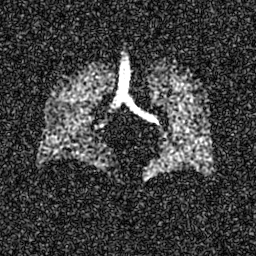
Hyperpolarized 129Xe ventilation MRI of the lungs. SNR level 7 of 8 (the deposit holds this scan as its native image and as seven SNR-degraded versions).